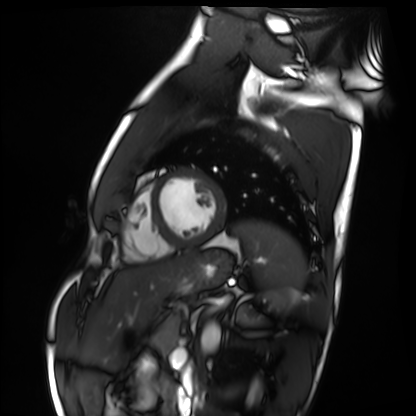
Cardiac MRI. Subject group: healthy volunteer.